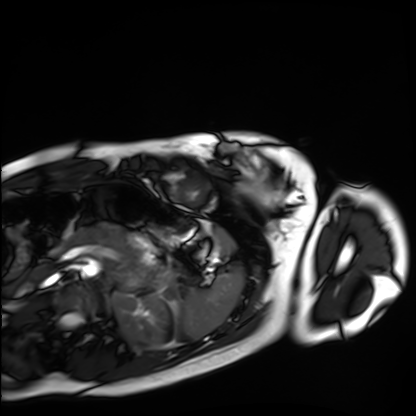
Cardiac MRI. Subject group: healthy volunteer.